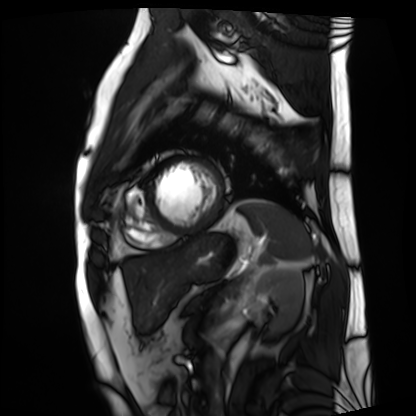
Summary:
Cardiac MRI. Subject group: patient.